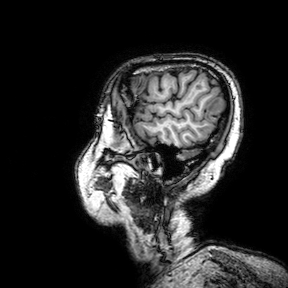
Clinical context: 3 Tesla brain MRI. Series: 3D T1-weighted turbo field echo with SENSE. Study: ring-enhancing brain masses.